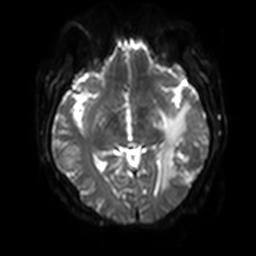
• modality: 3 Tesla brain MRI
• series: diffusion-weighted imaging with SENSE (WIP)
• study: ring-enhancing brain masses